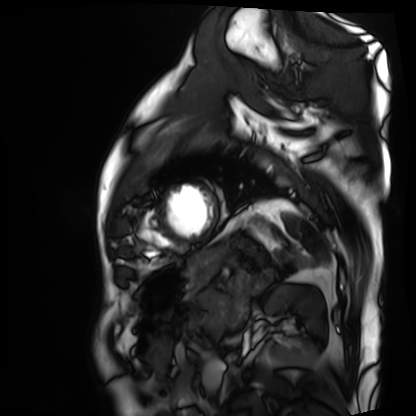
  modality: cardiac MRI
  cohort: patient